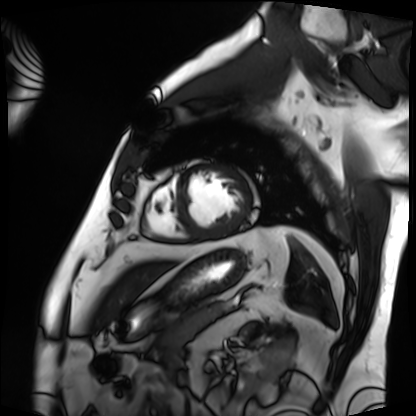
modality: cardiac MRI | subject group: patient.